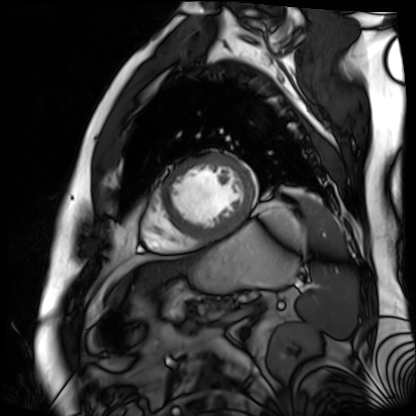
Summary:
Cardiac MR image of the myocardium. Subject cohort: cardiac patient.